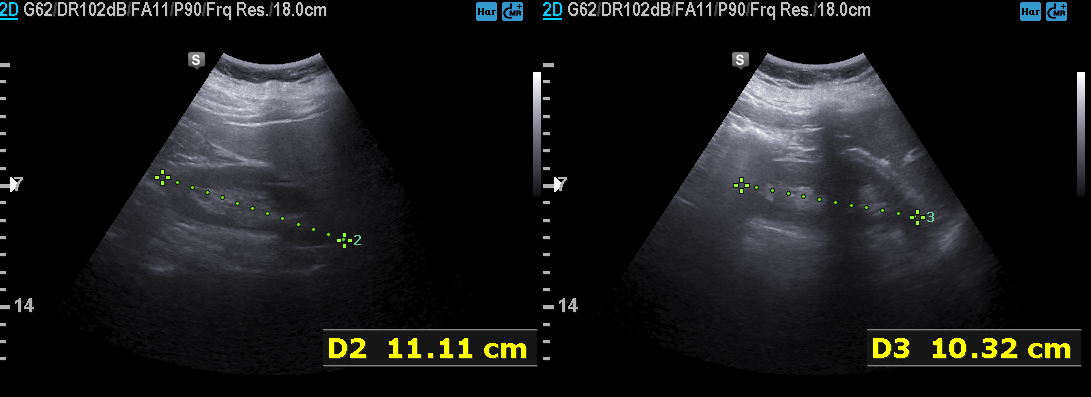
<record>
<modality>
  <type>genitourinary ultrasound</type>
</modality>
</record>